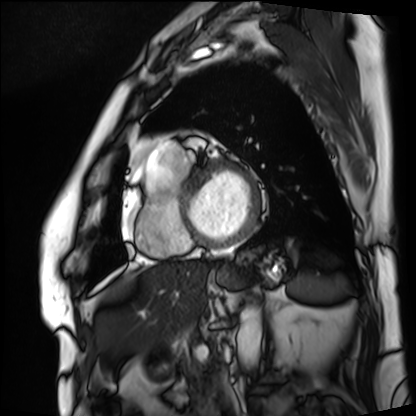
Cardiac MRI. Subject group: patient.